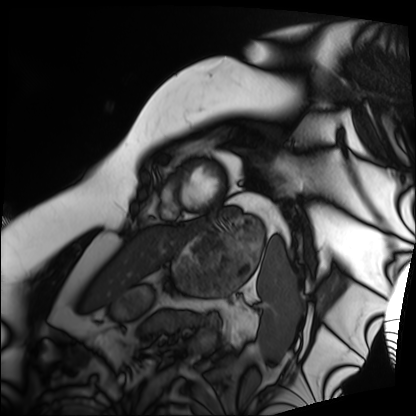
modality: cardiac MRI | subject group: patient.